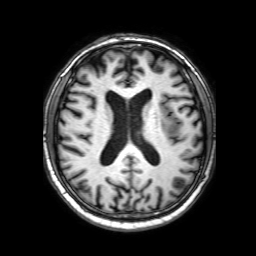
Clinical context:
3 Tesla brain MRI. Series: 3D T1-weighted with SENSE. Study: ring-enhancing brain masses.